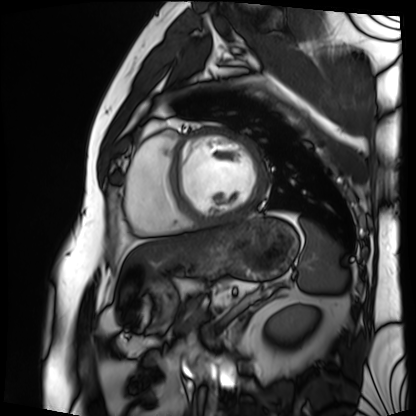
| field | value |
|---|---|
| modality | cardiac MRI |
| subject group | patient |